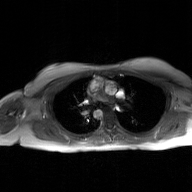
2D phase-contrast cine MRI of the ascending aorta, GAN super-resolution reconstruction.